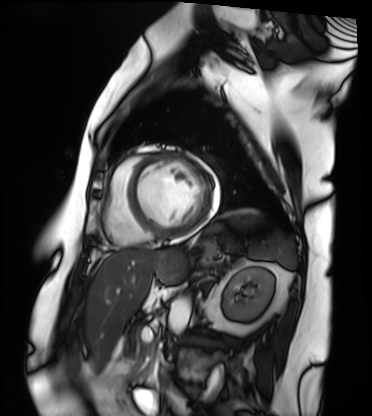
Cardiac MRI. Subject group: patient.